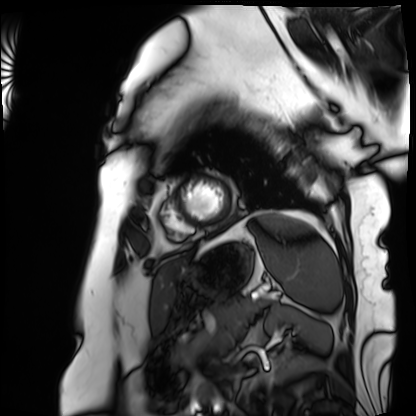
modality=cardiac MRI | subject group=patient.